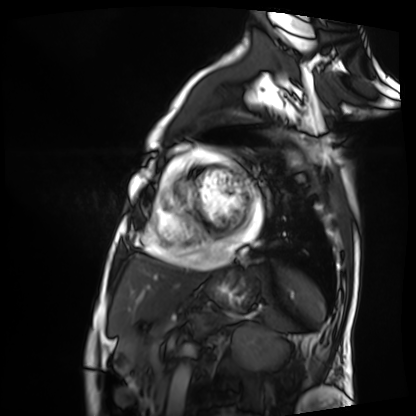
| field | value |
|---|---|
| modality | cardiac MRI |
| subject group | patient |